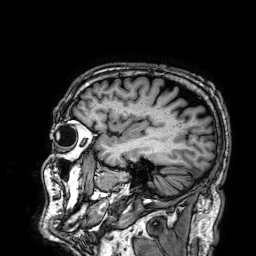
Q: What kind of scan is this?
A: 3 Tesla brain MRI.
Q: Series?
A: 3D T1-weighted.
Study: ring-enhancing brain masses.